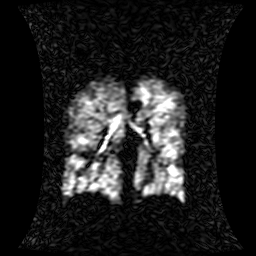
Summary:
Hyperpolarized 129Xe ventilation MRI of the lungs. SNR level 1 of 8 (the deposit holds this scan as its native image and as seven SNR-degraded versions).